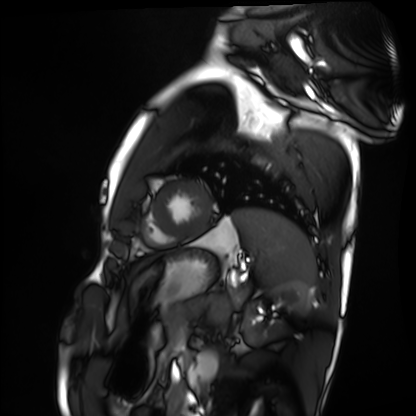
Q: What kind of scan is this?
A: Cardiac MRI.
Subject group: healthy volunteer.